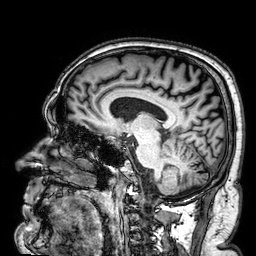
3 Tesla brain MRI. Series: 3D T1-weighted. Study: ring-enhancing brain masses.